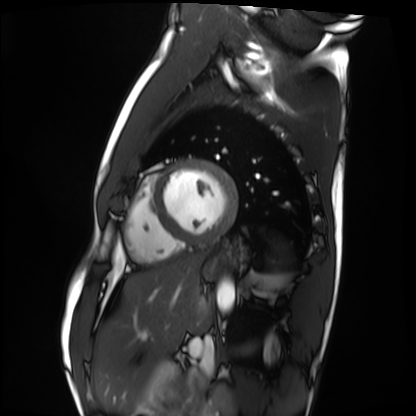
Case:
* modality — cardiac MRI
* subject group — healthy volunteer